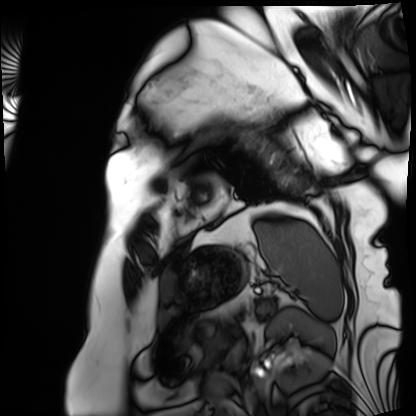
| field | value |
|---|---|
| modality | cardiac MRI |
| subject group | patient |